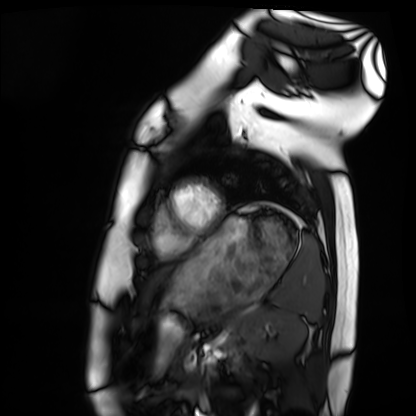
Cardiac MRI.
Subject group: healthy volunteer.